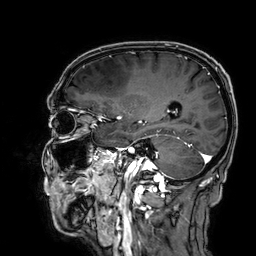
3 Tesla brain MRI.
Series: 3D T1-weighted.
Study: ring-enhancing brain masses.